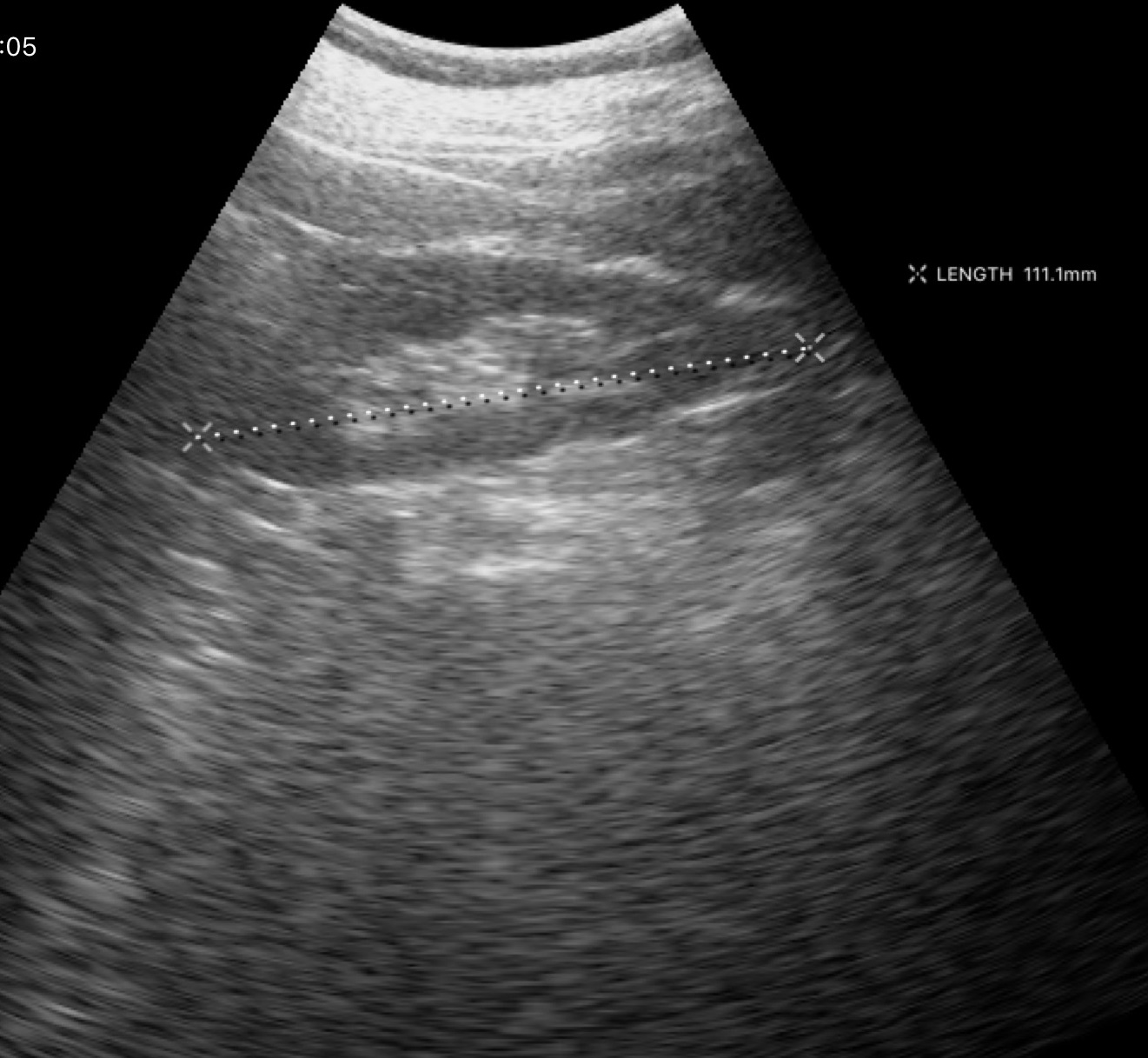
Summary:
Genitourinary ultrasound.